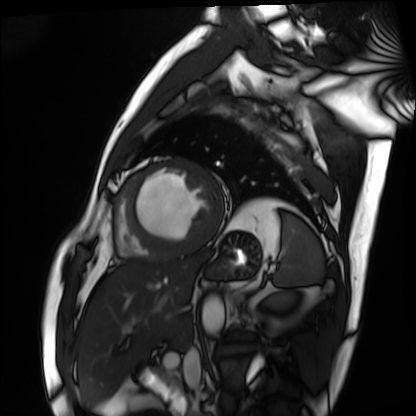
Cardiac MRI. Subject group: patient.